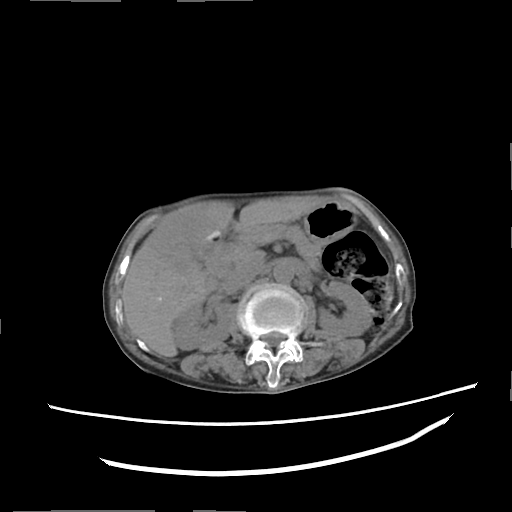
Q: What kind of scan is this?
A: Multiphase abdominal CT, liver, non-contrast phase.
Q: Patient?
A: Female, age 74.